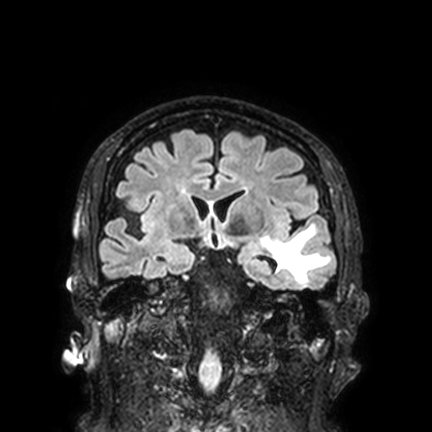
Q: What kind of scan is this?
A: 3 Tesla brain MRI.
Q: Series?
A: FLAIR VISTA with SENSE.
Study: ring-enhancing brain masses.